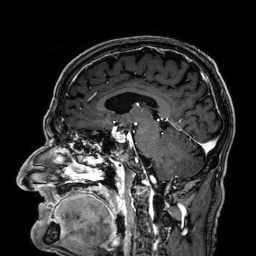
Q: What kind of scan is this?
A: 3 Tesla brain MRI.
Q: Series?
A: 3D T1-weighted.
Study: ring-enhancing brain masses.